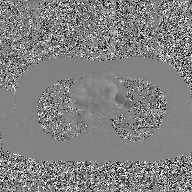
2D phase-contrast cine MRI of the ascending aorta, GAN super-resolution reconstruction.